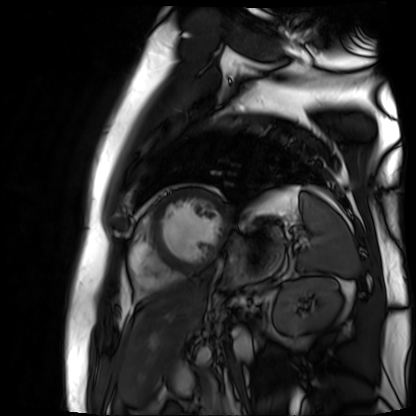
Cardiac MR image of the myocardium. Subject cohort: cardiac patient.